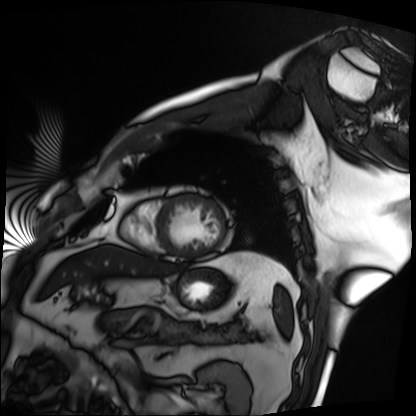
Clinical context: Cardiac MRI. Subject group: patient.